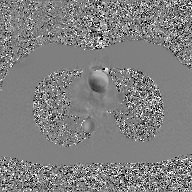
2D phase-contrast cine MRI of the ascending aorta, GAN super-resolution reconstruction.